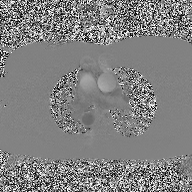
Q: What kind of scan is this?
A: 2D phase-contrast cine MRI of the ascending aorta.